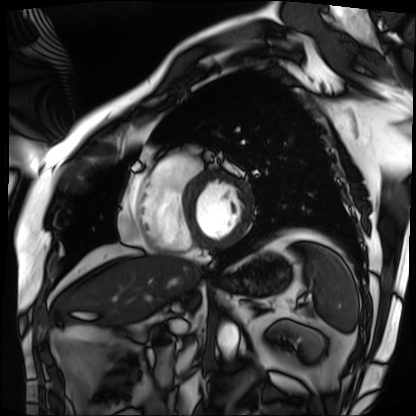
| field | value |
|---|---|
| modality | cardiac MRI |
| subject group | patient |